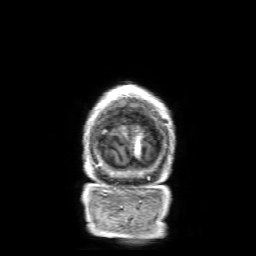
3 Tesla brain MRI. Series: 3D T1-weighted with SENSE. Study: ring-enhancing brain masses.